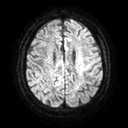
3 Tesla brain MRI. Series: diffusion tensor imaging (medium iso). Study: ring-enhancing brain masses.